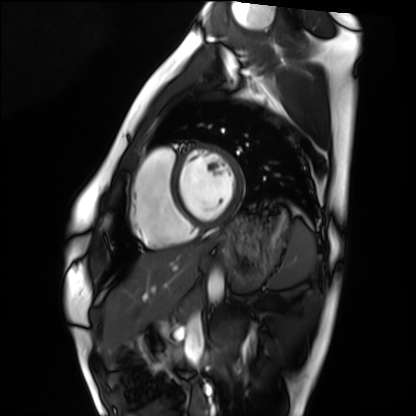
Clinical context: Cardiac MRI. Subject group: healthy volunteer.